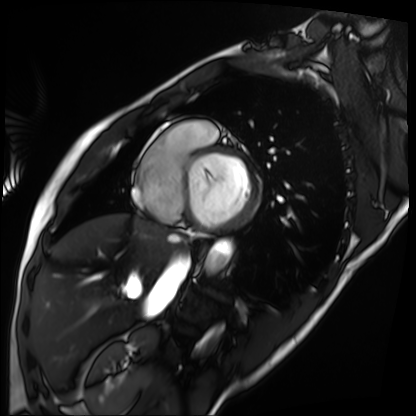
modality: cardiac MRI, subject group: patient.